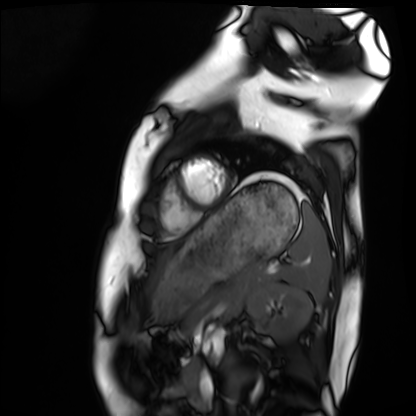
Summary: Cardiac MRI. Subject group: healthy volunteer.